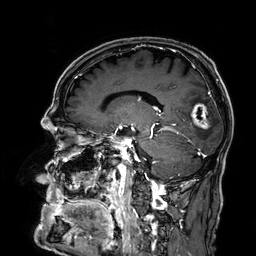
3 Tesla brain MRI. Series: 3D T1-weighted. Study: ring-enhancing brain masses.